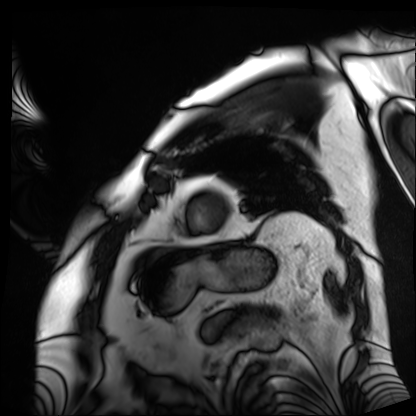
• modality: cardiac MRI
• subject group: patient